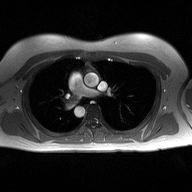
2D phase-contrast cine MRI of the ascending aorta, high-resolution GRAPPA acquisition.